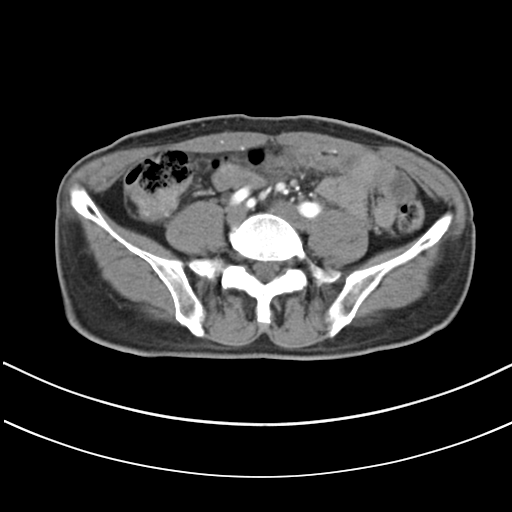
Summary:
Multiphase abdominal CT, liver, arterial phase. Patient: male, age 61.